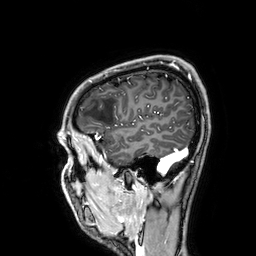
3 Tesla brain MRI.
Series: 3D T1-weighted.
Study: ring-enhancing brain masses.